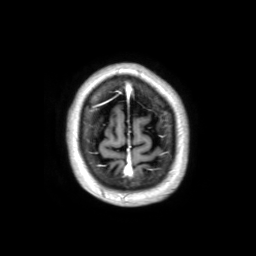
Q: What kind of scan is this?
A: 3 Tesla brain MRI.
Study: ring-enhancing brain masses.